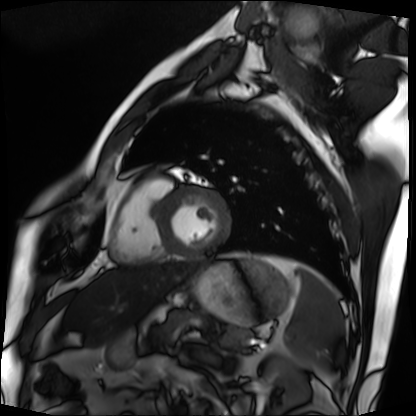
Cardiac MRI.
Subject group: patient.